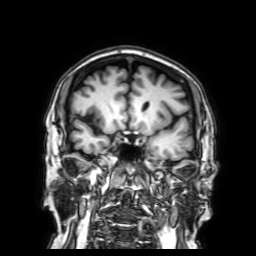
modality:
  type: brain MRI
  field_strength: 3T
series: 3D T1-weighted with SENSE
study_topic: ring-enhancing brain masses